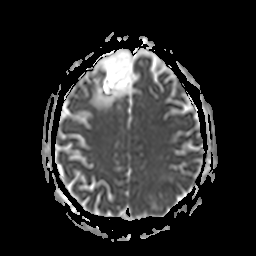
modality: 3 Tesla brain MRI
series: apparent diffusion coefficient (ADC) map
study: ring-enhancing brain masses